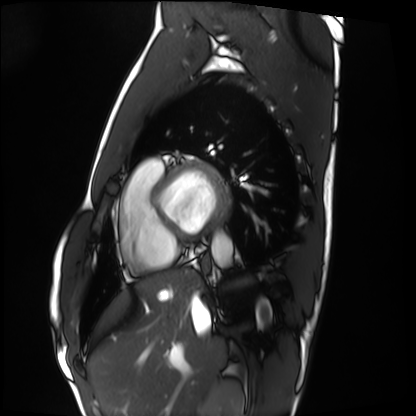
• modality — cardiac MRI
• subject group — healthy volunteer